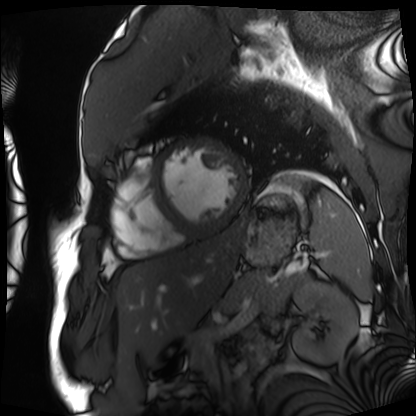
Cardiac MRI. Subject group: patient.